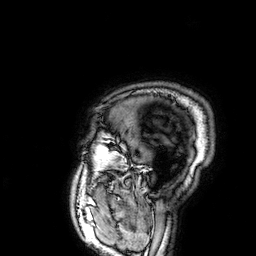
– modality — 3 Tesla brain MRI
– series — 3D T1-weighted
– study — ring-enhancing brain masses